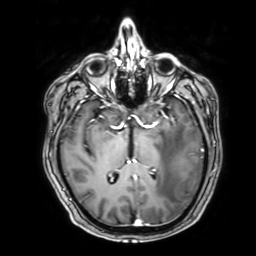
3 Tesla brain MRI. Series: 3D T1-weighted with SENSE. Study: ring-enhancing brain masses.